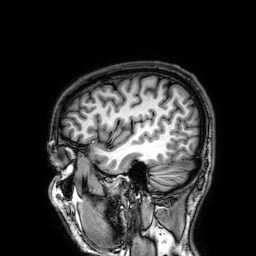
3 Tesla brain MRI. Series: 3D T1-weighted. Study: ring-enhancing brain masses.